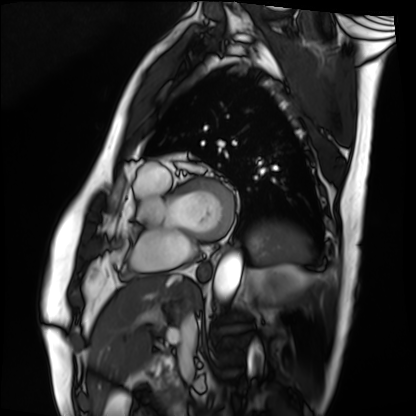
* modality — cardiac MRI
* subject group — patient